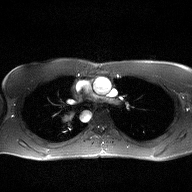
modality — 2D phase-contrast cine MRI of the ascending aorta.